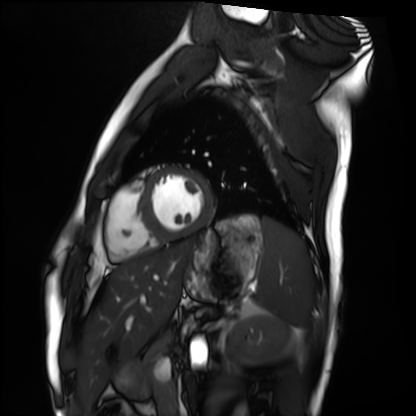
Case summary: Cardiac MRI. Subject group: healthy volunteer.